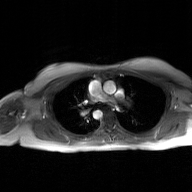
Q: What kind of scan is this?
A: 2D phase-contrast cine MRI of the ascending aorta, GAN super-resolution reconstruction.